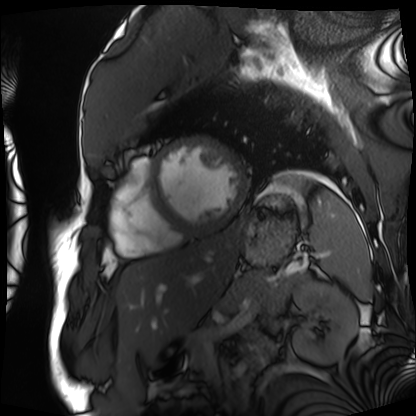
Cardiac MRI. Subject group: patient.